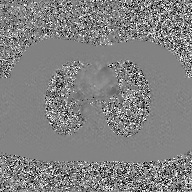
modality = 2D phase-contrast cine MRI of the ascending aorta, GAN super-resolution reconstruction